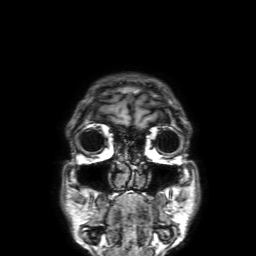
| field | value |
|---|---|
| modality | 3 Tesla brain MRI |
| series | 3D T1-weighted with SENSE |
| study | ring-enhancing brain masses |